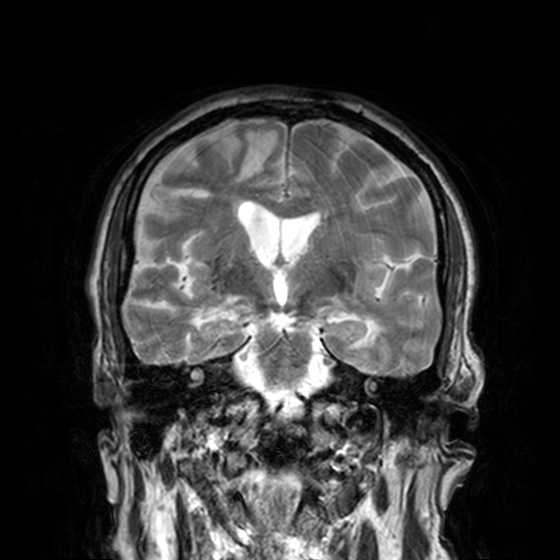
* modality: 3 Tesla brain MRI
* series: T2-weighted turbo spin echo, 3 mm
* study: ring-enhancing brain masses